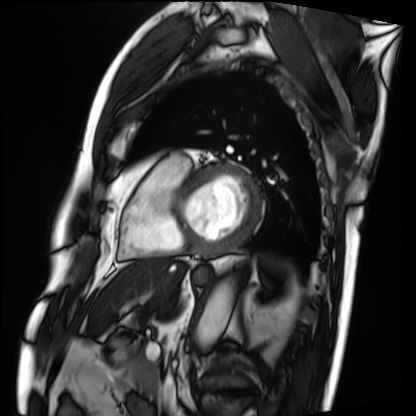
| field | value |
|---|---|
| modality | cardiac MRI |
| subject group | patient |